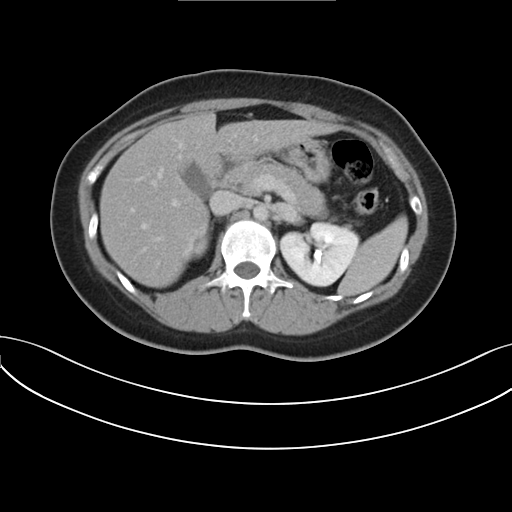
Multiphase abdominal CT, liver, delayed phase.
Patient: female, age 30.